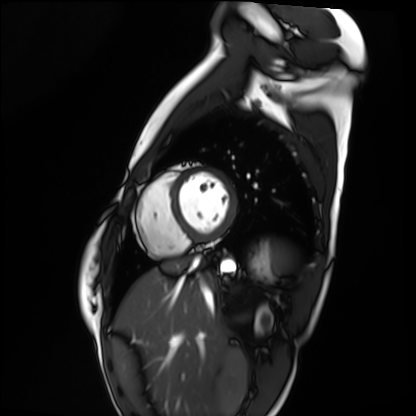
<case>
  <modality>cardiac MRI</modality>
  <cohort>healthy volunteer</cohort>
</case>